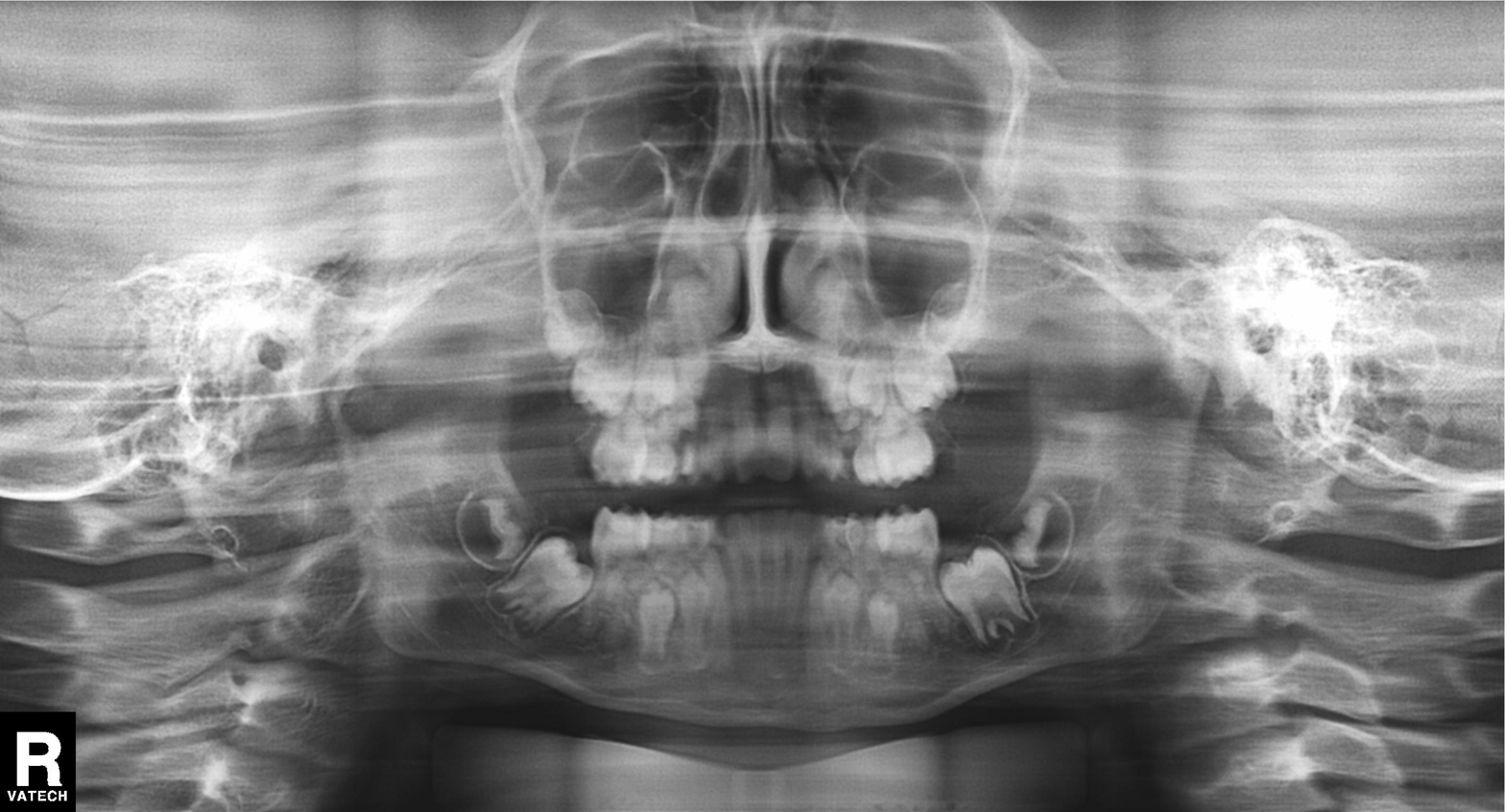
Panoramic dental radiograph (orthopantomogram).
Finding: alveolar bone loss.